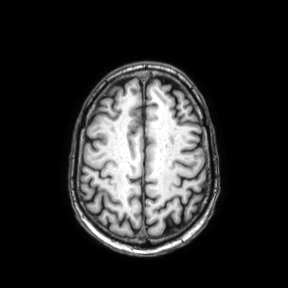
<study>
<modality>
  <type>brain MRI</type>
  <field_strength>3T</field_strength>
</modality>
<series>axial</series>
<study_topic>ring-enhancing brain masses</study_topic>
</study>